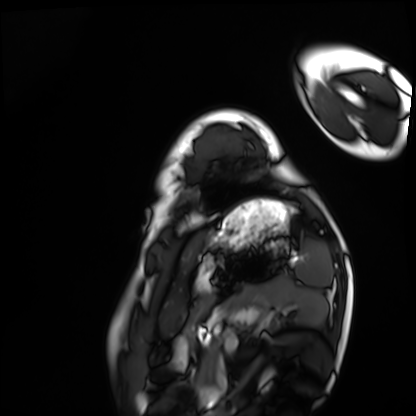
Case summary: Cardiac MRI. Subject group: healthy volunteer.